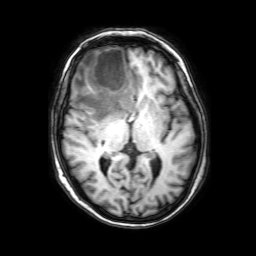
Case:
* modality: 3 Tesla brain MRI
* series: 3D T1-weighted with SENSE
* study: ring-enhancing brain masses